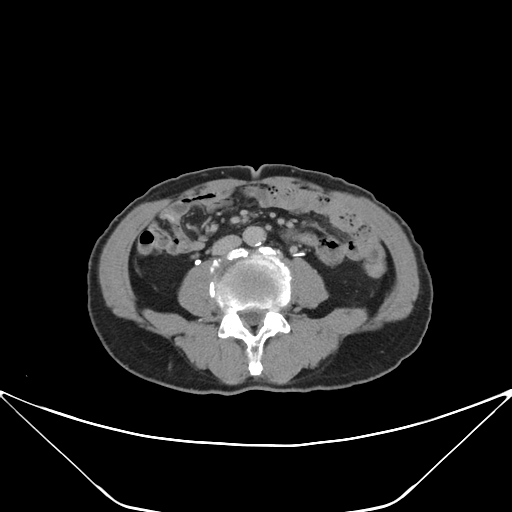
Case summary:
Multiphase abdominal CT, liver, delayed phase. Patient: male, age 71.